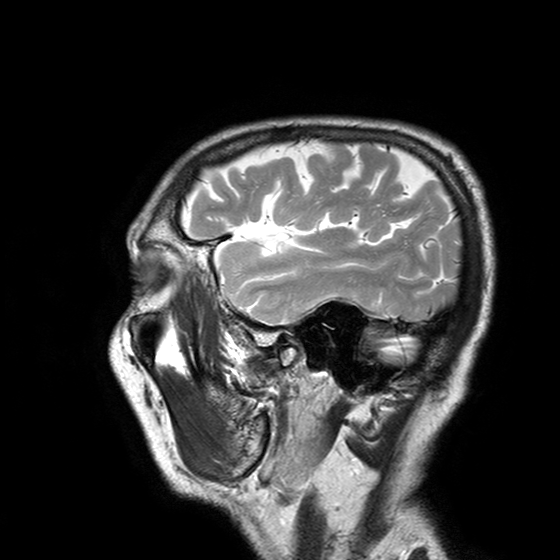
modality — 3 Tesla brain MRI | series — T2-weighted turbo spin echo with SENSE | study — ring-enhancing brain masses.